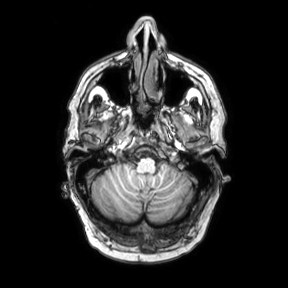
3 Tesla brain MRI. Series: axial. Study: ring-enhancing brain masses.